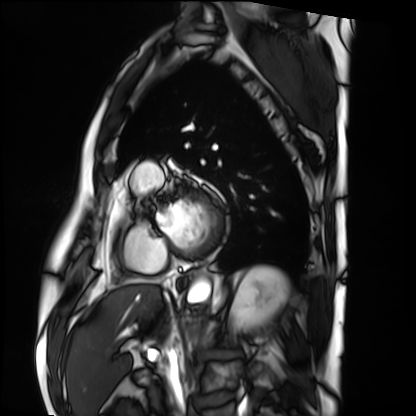
  modality: cardiac MRI
  cohort: patient